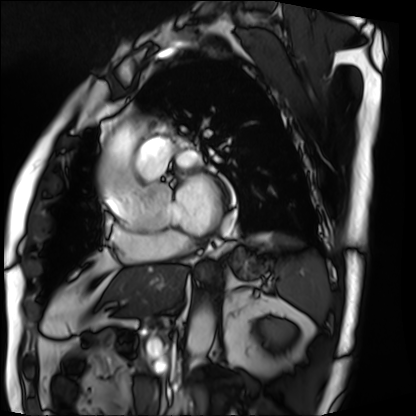
Case summary: Cardiac MRI. Subject group: patient.